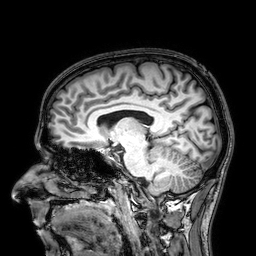
Summary: 3 Tesla brain MRI. Series: 3D T1-weighted. Study: ring-enhancing brain masses.